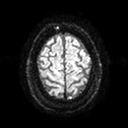
{"modality": {"type": "brain MRI", "field_strength": "3T"}, "study_topic": "ring-enhancing brain masses"}